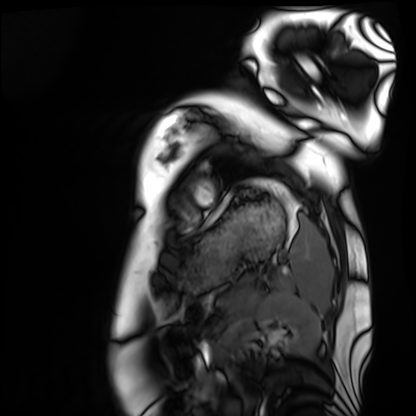
Cardiac MRI. Subject group: healthy volunteer.